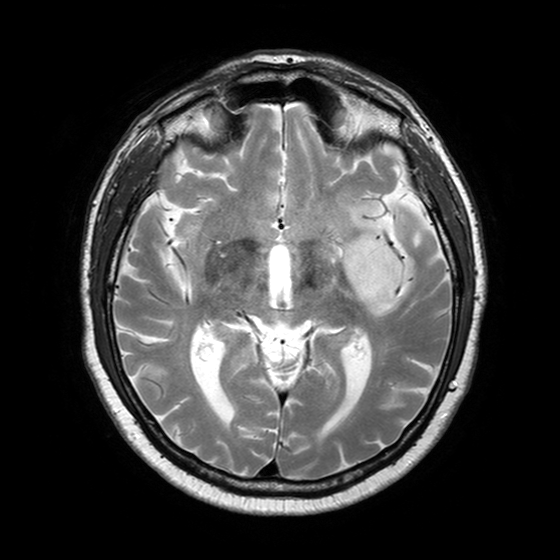
Q: What kind of scan is this?
A: 3 Tesla brain MRI.
Study: ring-enhancing brain masses.